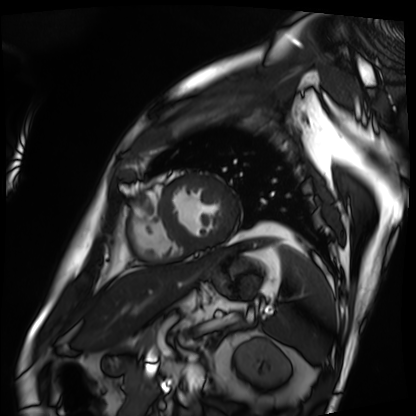
  modality: cardiac MRI
  cohort: patient